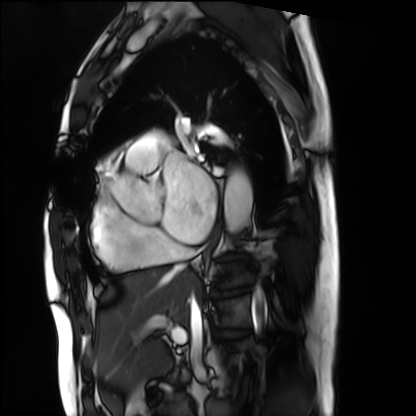
– modality · cardiac MRI
– subject group · patient